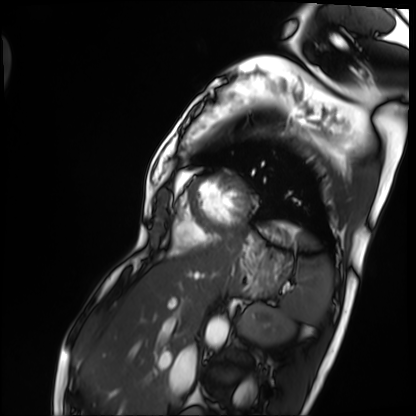
modality — cardiac MRI; subject group — patient.